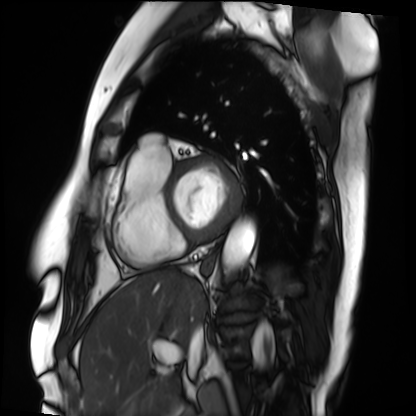
Q: What kind of scan is this?
A: Cardiac MRI.
Subject group: patient.